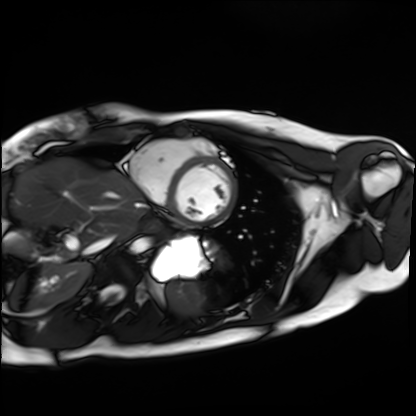
Cardiac MRI. Subject group: healthy volunteer.